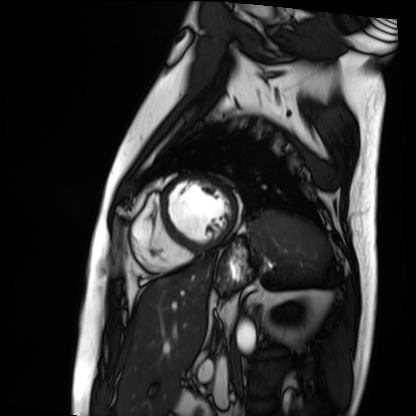
• modality · cardiac MRI
• subject group · patient